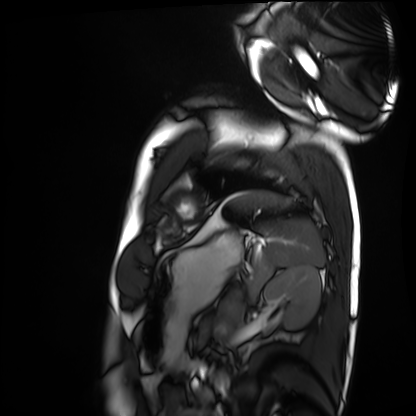
Case:
- modality — cardiac MRI
- subject group — healthy volunteer